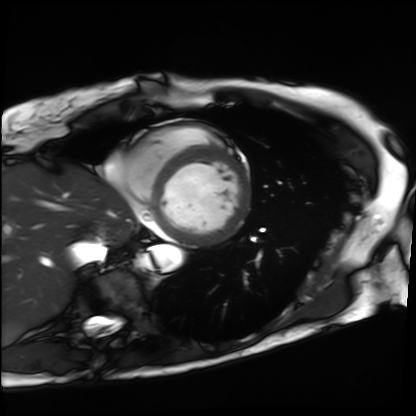
Cardiac MRI. Subject group: patient.